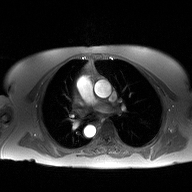
modality = 2D phase-contrast cine MRI of the ascending aorta.